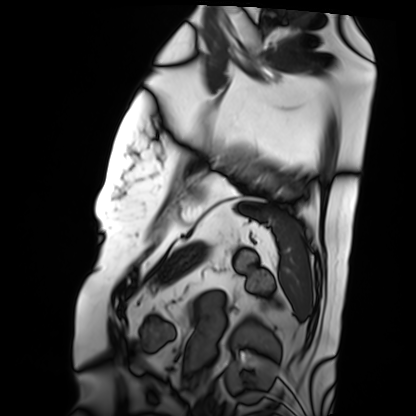
Summary: Cardiac MRI. Subject group: patient.